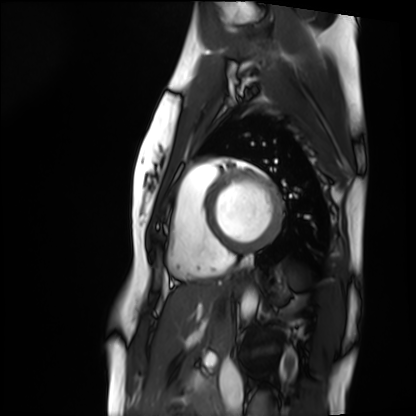
modality: cardiac MRI, subject group: healthy volunteer.